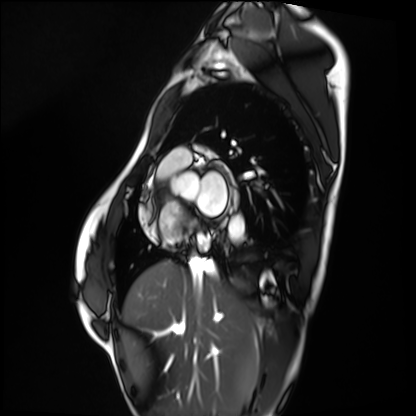
Case summary: Cardiac MRI. Subject group: healthy volunteer.